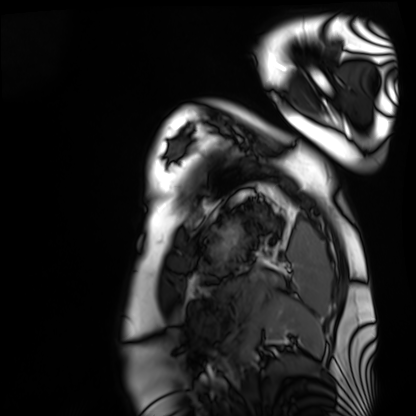
Cardiac MRI.
Subject group: healthy volunteer.